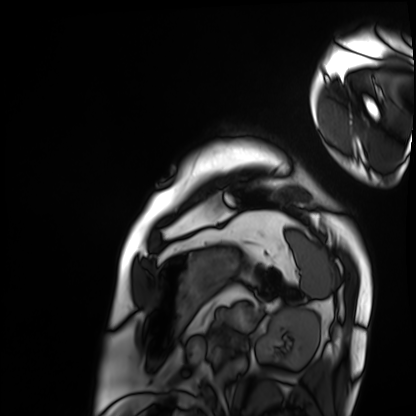
Q: What kind of scan is this?
A: Cardiac MRI.
Subject group: patient.